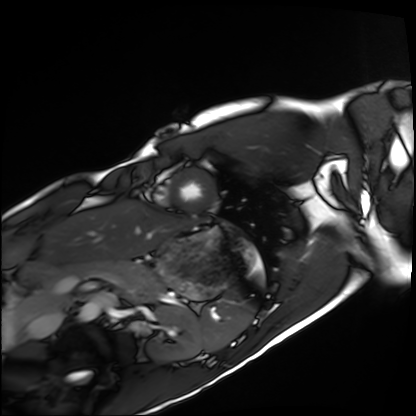
Q: What kind of scan is this?
A: Cardiac MRI.
Subject group: healthy volunteer.